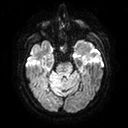
<case>
<modality>
  <type>brain MRI</type>
  <field_strength>3T</field_strength>
</modality>
<series>diffusion tensor imaging (medium iso)</series>
<study_topic>ring-enhancing brain masses</study_topic>
</case>